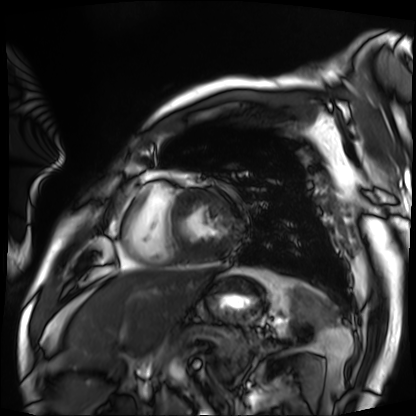
Cardiac MRI. Subject group: patient.